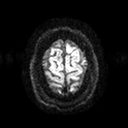
Case:
* modality: 3 Tesla brain MRI
* series: diffusion tensor imaging (medium iso)
* study: ring-enhancing brain masses